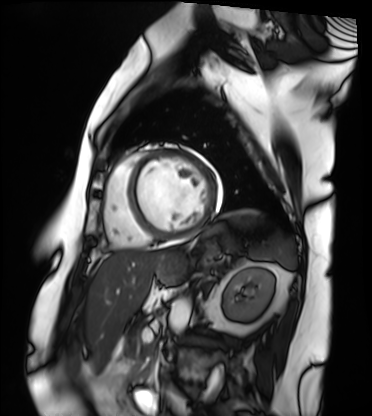
Cardiac MRI.
Subject group: patient.